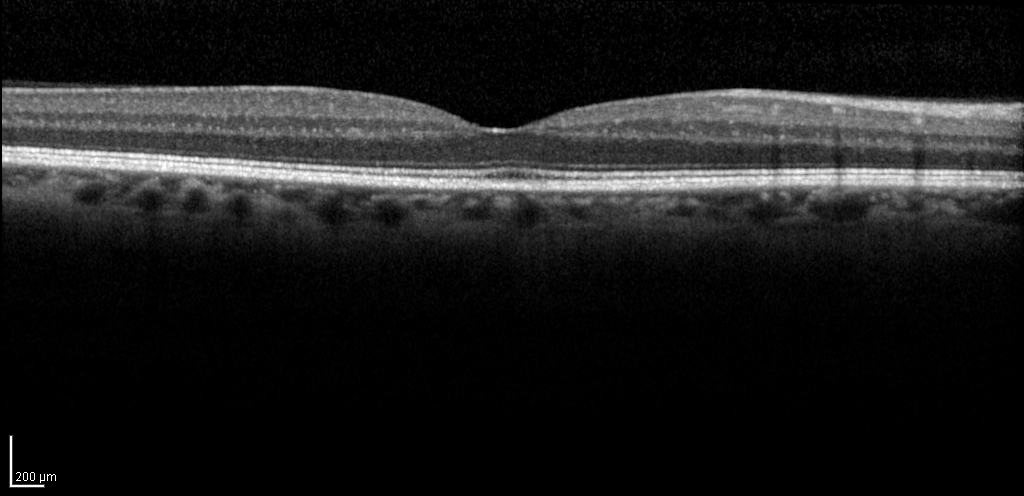
Spectral-domain optical coherence tomography (SD-OCT) of the macula. Subject: male, age 59, right eye. Cohort: non-diabetic control. ETDRS-grid retinal thickness (μm): central 299, inner temporal 359, inner nasal 368, inner superior 367, inner inferior 365, outer temporal 311, outer nasal 330, outer superior 333, outer inferior 317.